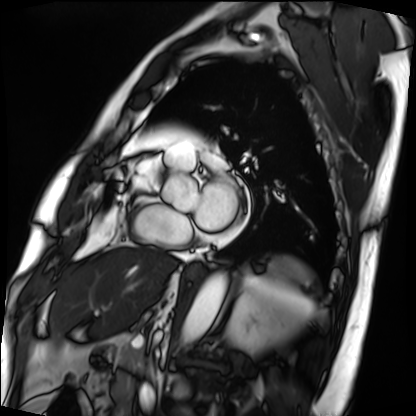
modality = cardiac MRI
subject group = patient